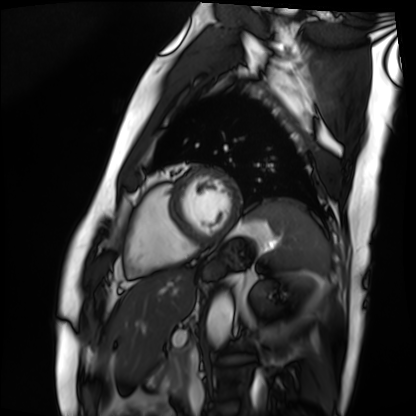
Summary:
Cardiac MRI. Subject group: patient.